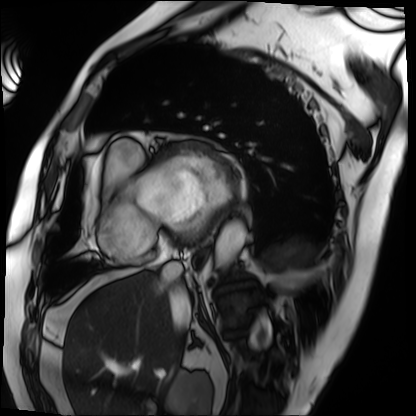
Cardiac MRI. Subject group: patient.